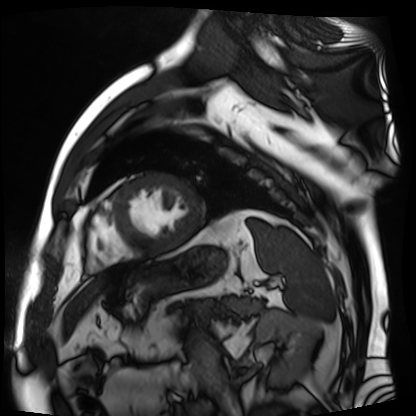
modality = cardiac MR image of the myocardium, subject cohort = cardiac patient.